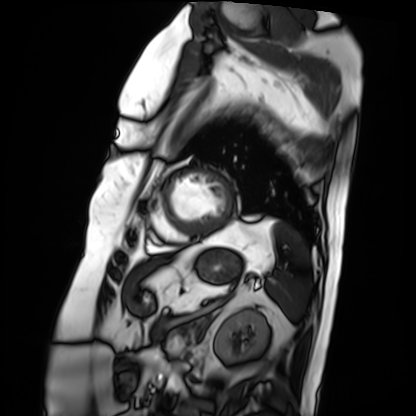
Clinical context:
Cardiac MRI. Subject group: patient.